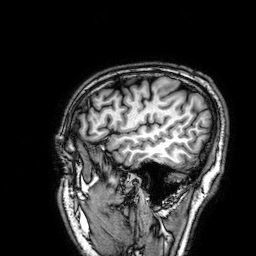
  modality:
    type: brain MRI
    field_strength: 3T
  series: 3D T1-weighted
  study_topic: ring-enhancing brain masses